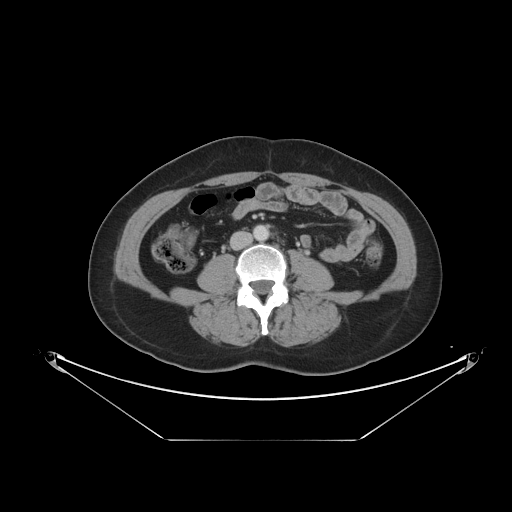
Q: What kind of scan is this?
A: Multiphase abdominal CT, liver, portal venous phase.
Q: Patient?
A: Female, age 56.